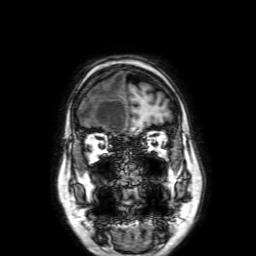
• modality: 3 Tesla brain MRI
• series: 3D T1-weighted with SENSE
• study: ring-enhancing brain masses